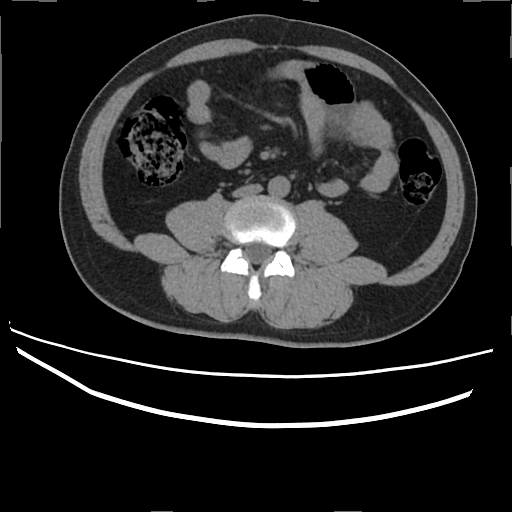
modality: multiphase abdominal CT, liver, non-contrast phase; patient: male, age 45; history: prior chemotherapy.